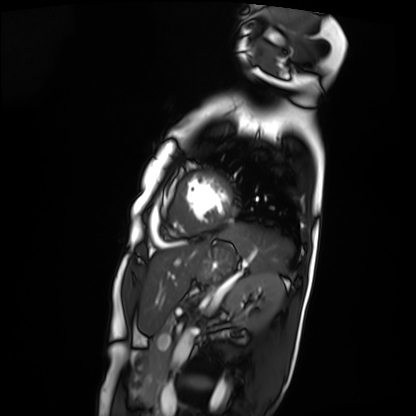
Summary:
Cardiac MRI. Subject group: patient.